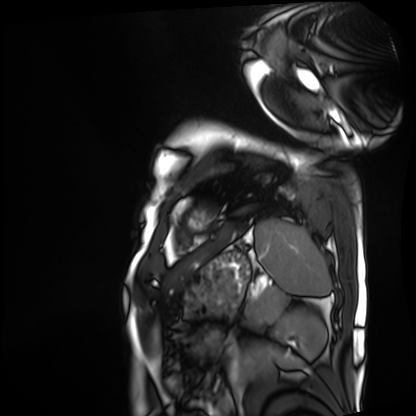
Cardiac MRI. Subject group: patient.